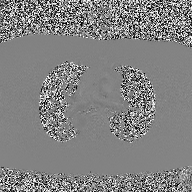
{"modality": {"type": "2D phase-contrast cine MRI", "region": "ascending aorta", "reconstruction": "high-resolution GRAPPA acquisition"}}